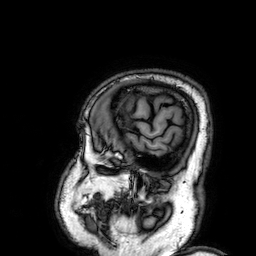
Clinical context: 3 Tesla brain MRI. Series: 3D T1-weighted. Study: ring-enhancing brain masses.